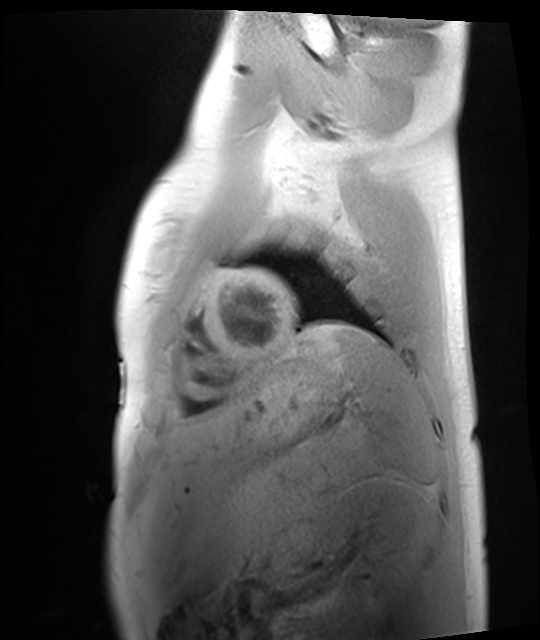
• modality · cardiac MRI
• subject group · healthy volunteer